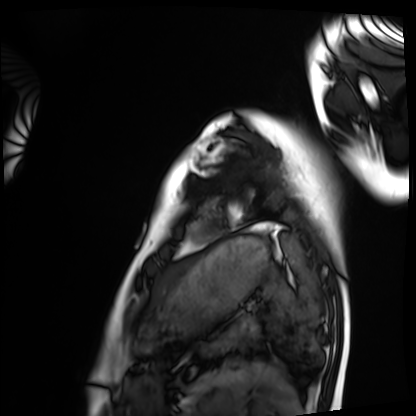
modality — cardiac MRI | subject group — healthy volunteer.